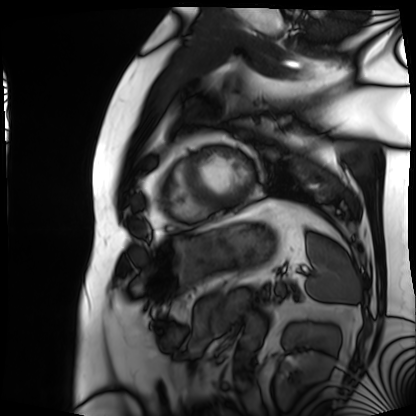
Summary: Cardiac MRI. Subject group: patient.